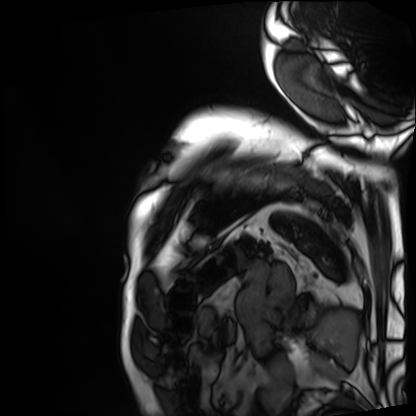
| field | value |
|---|---|
| modality | cardiac MRI |
| subject group | patient |